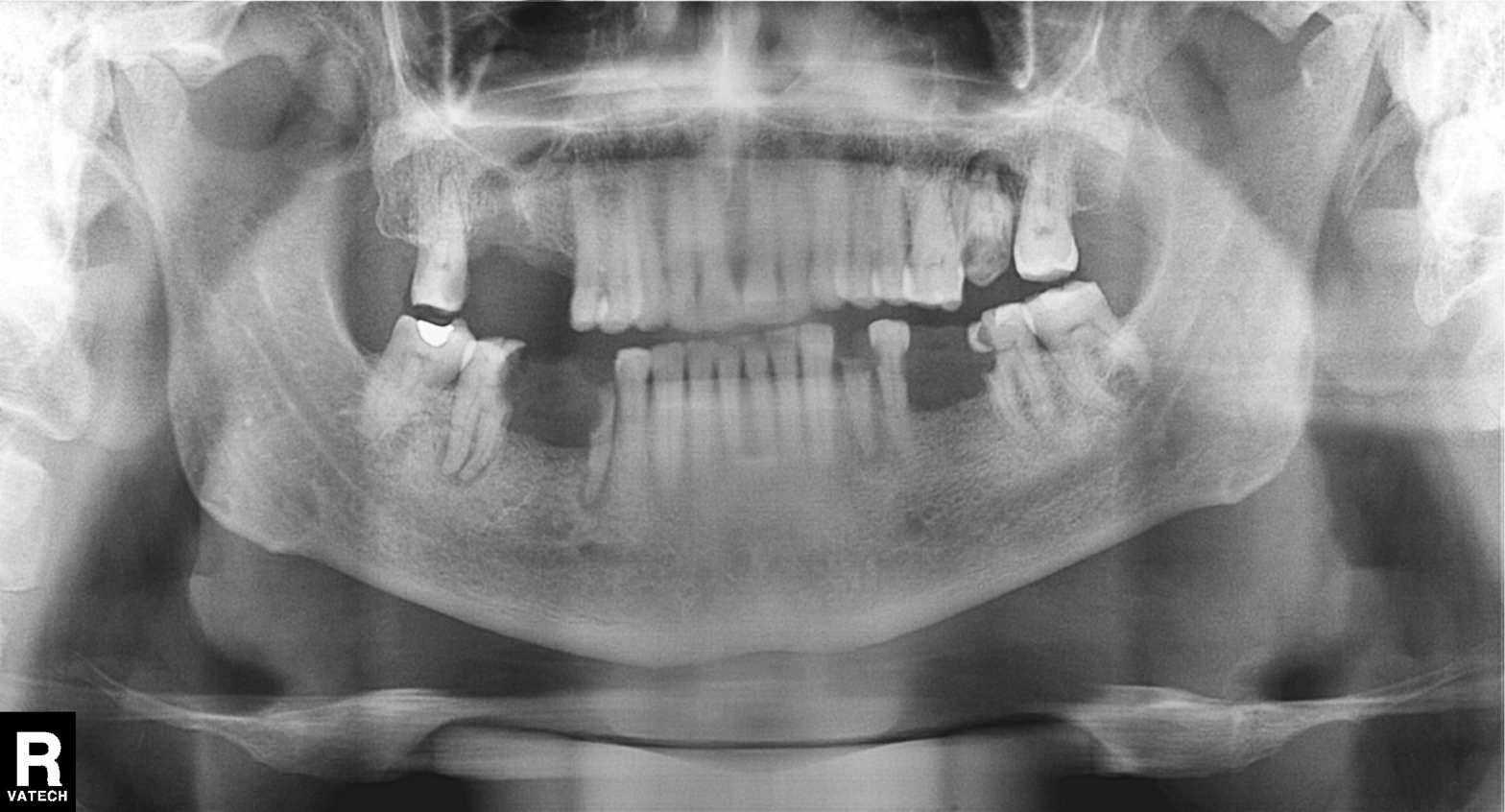
Panoramic dental radiograph (orthopantomogram). Finding: alveolar bone loss.